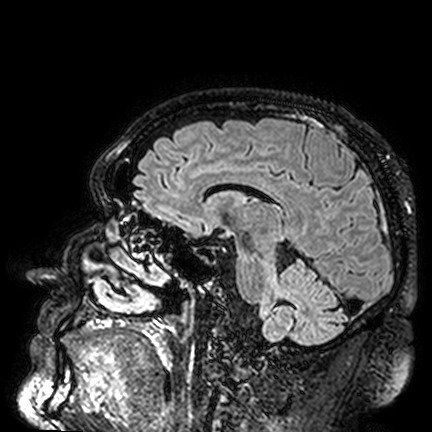
<scan>
  <modality>
    <type>brain MRI</type>
    <field_strength>3T</field_strength>
  </modality>
  <series>FLAIR VISTA</series>
  <study_topic>ring-enhancing brain masses</study_topic>
</scan>